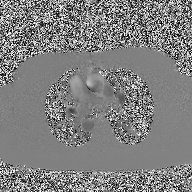
Case summary:
2D phase-contrast cine MRI of the ascending aorta, high-resolution GRAPPA acquisition.